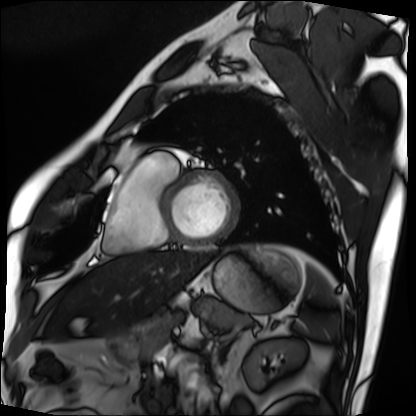
Case summary:
Cardiac MRI. Subject group: patient.